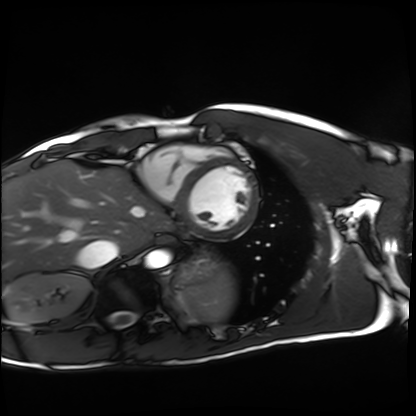
modality = cardiac MRI; subject group = healthy volunteer.